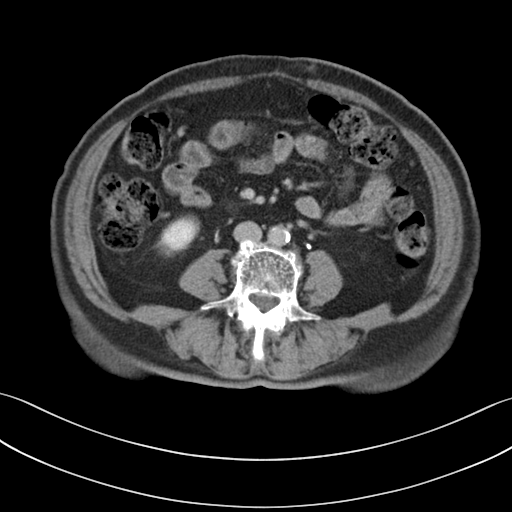
modality: multiphase abdominal CT, liver, delayed phase | patient: female, age 72.